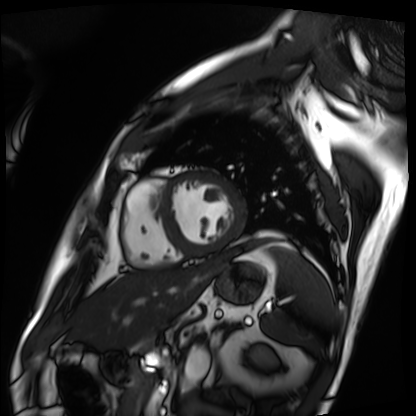
modality: cardiac MRI; subject group: patient.